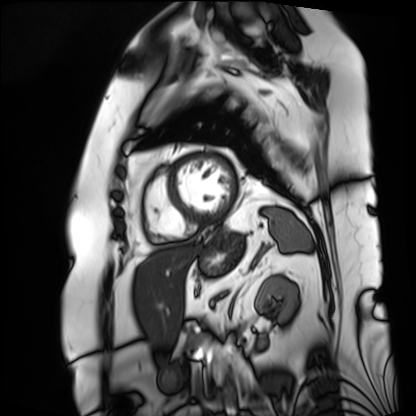
modality: cardiac MRI; subject group: patient.